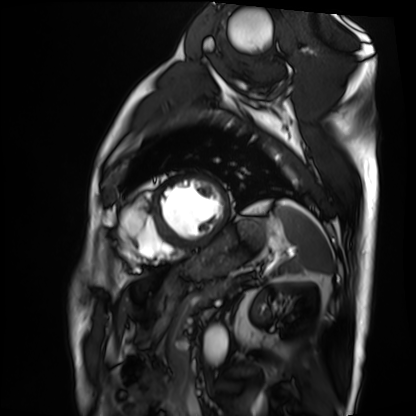
– modality · cardiac MRI
– subject group · patient